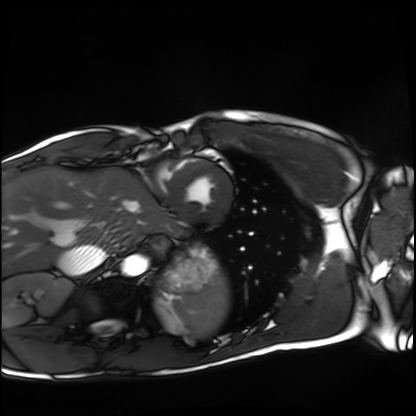
- modality: cardiac MRI
- subject group: healthy volunteer